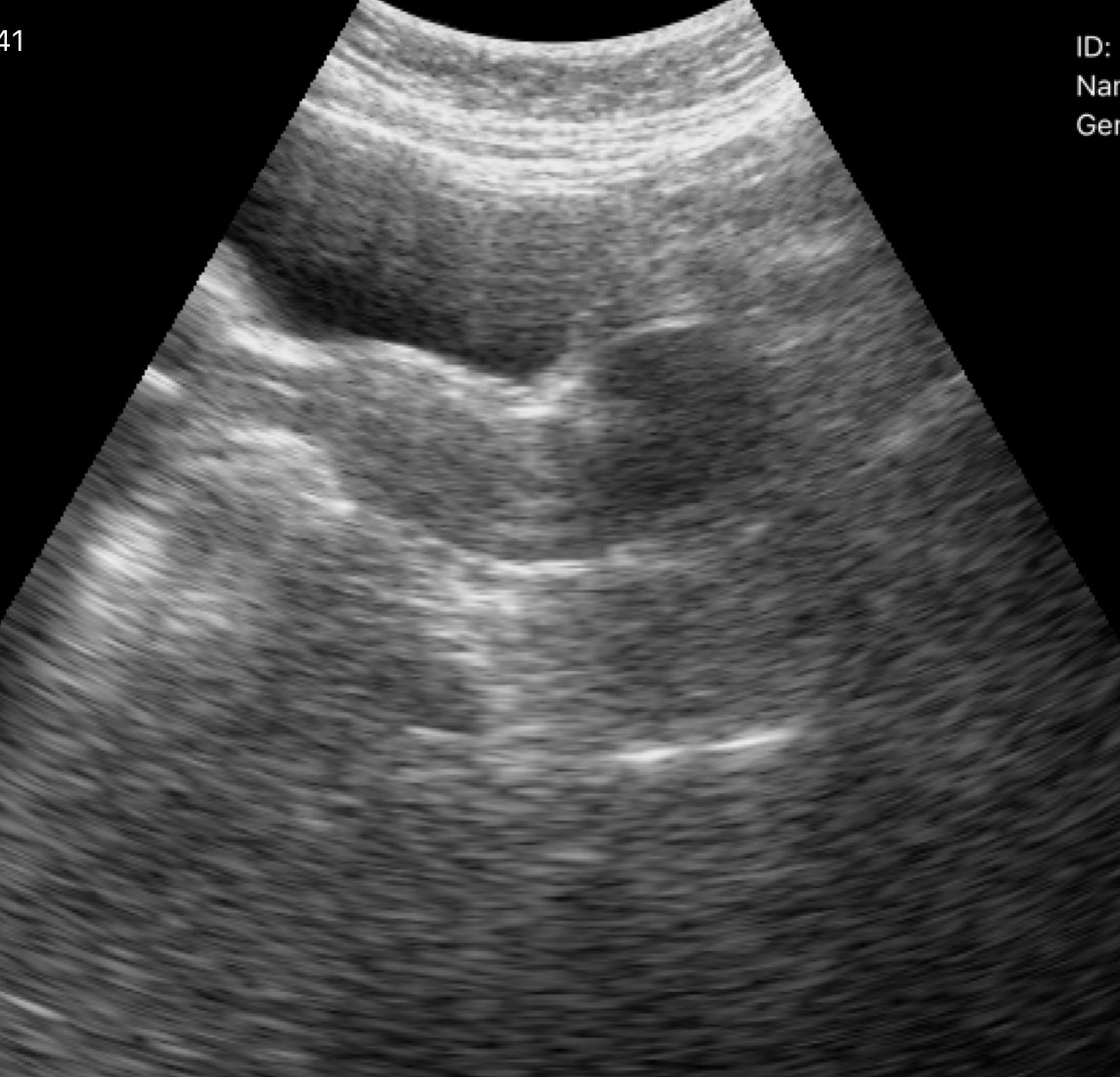
Summary: Genitourinary ultrasound.